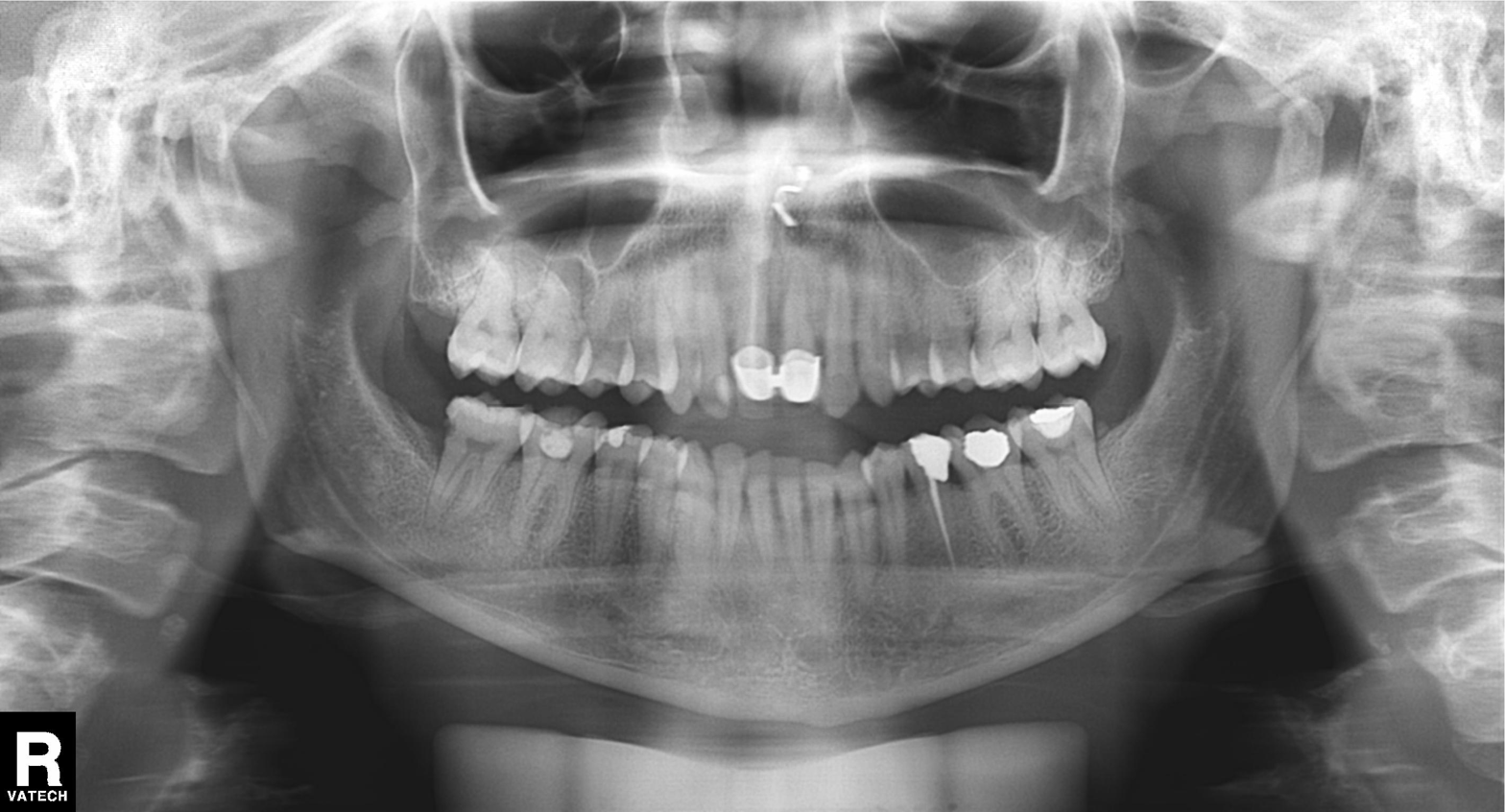
modality: panoramic dental radiograph (orthopantomogram)
finding: dental caries (cavities)